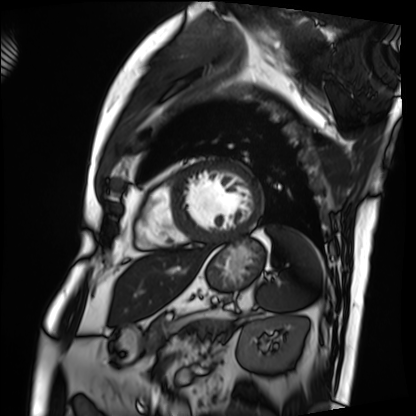
modality = cardiac MRI
subject group = patient